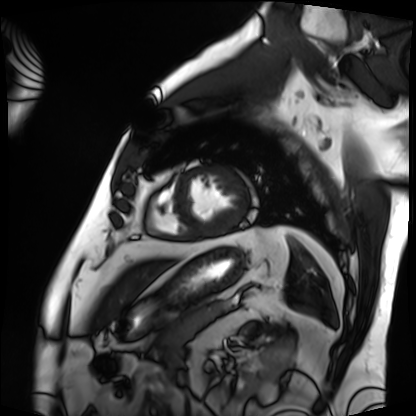
modality = cardiac MRI; subject group = patient.